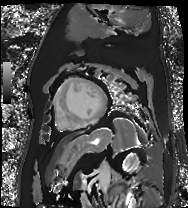
• modality — cardiac MR image of the myocardium
• subject cohort — cardiac patient